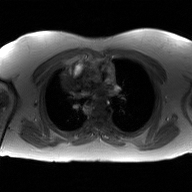
2D phase-contrast cine MRI of the ascending aorta, GAN super-resolution reconstruction.